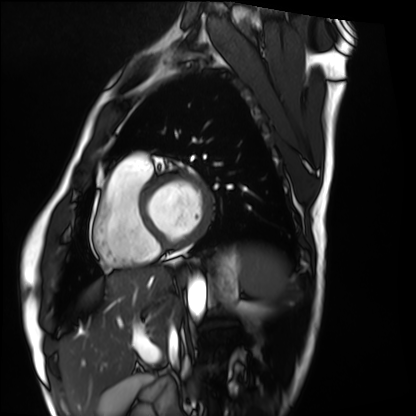
Cardiac MRI.
Subject group: healthy volunteer.